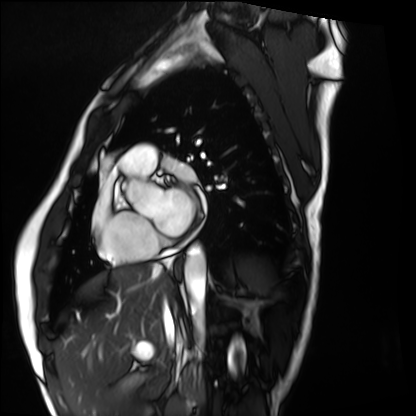
modality: cardiac MRI; subject group: healthy volunteer.